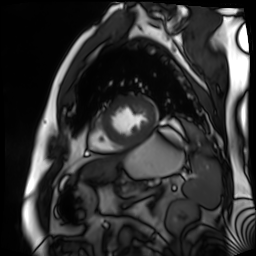
Cardiac MR image of the myocardium.
Subject cohort: cardiac patient.